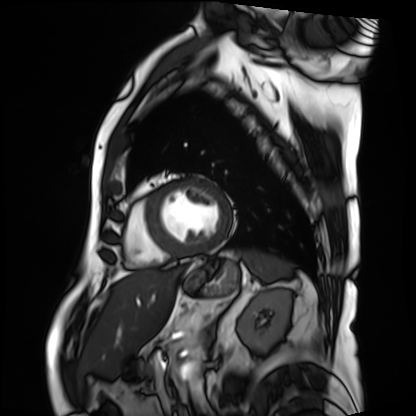
Clinical context:
Cardiac MRI. Subject group: patient.